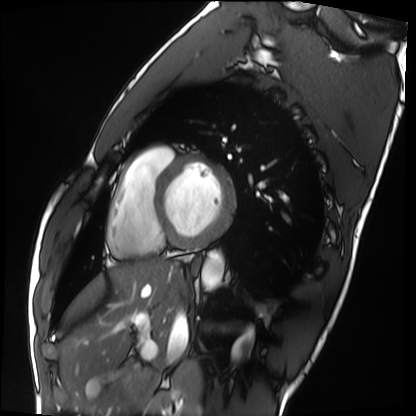
Cardiac MRI.
Subject group: healthy volunteer.